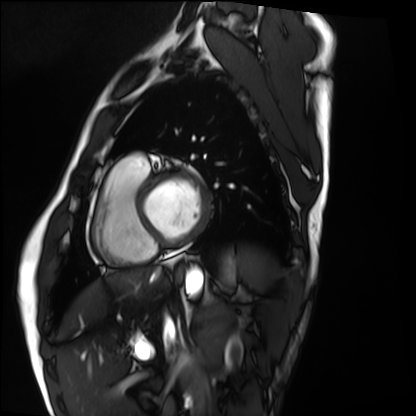
Cardiac MRI.
Subject group: healthy volunteer.